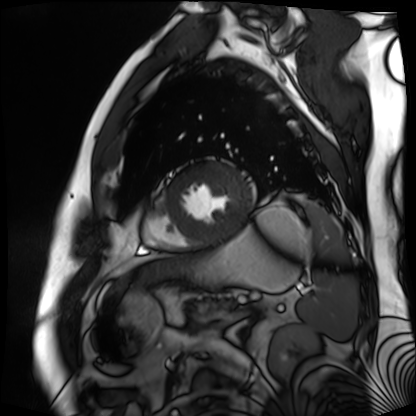
Cardiac MR image of the myocardium.
Subject cohort: cardiac patient.